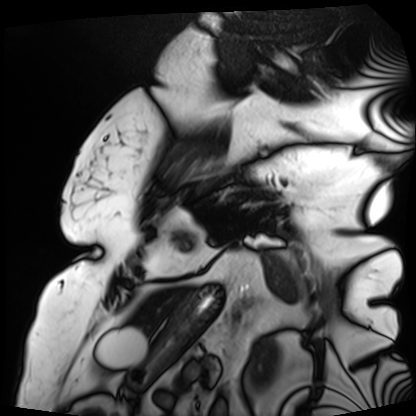
- modality: cardiac MRI
- subject group: patient